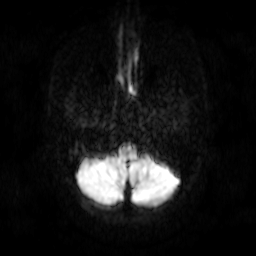
Case summary: 3 Tesla brain MRI. Series: diffusion-weighted imaging. Study: ring-enhancing brain masses.